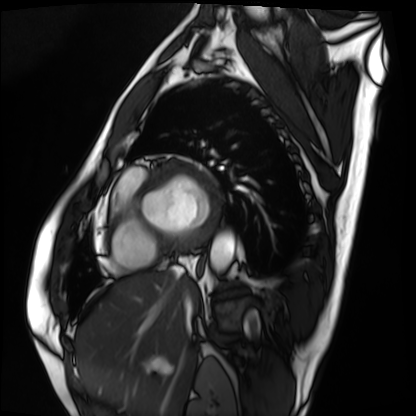
Cardiac MRI. Subject group: patient.